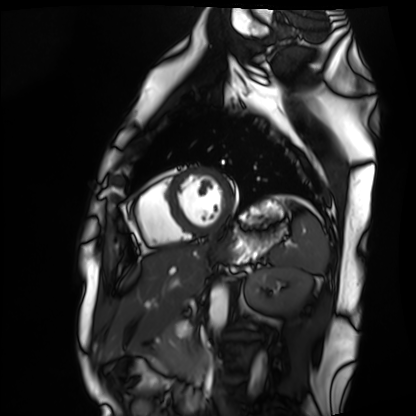
Q: What kind of scan is this?
A: Cardiac MRI.
Subject group: healthy volunteer.